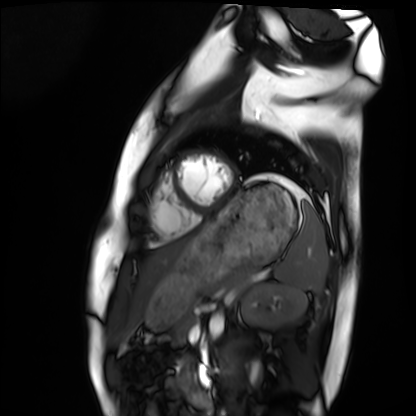
Clinical context:
Cardiac MRI. Subject group: healthy volunteer.